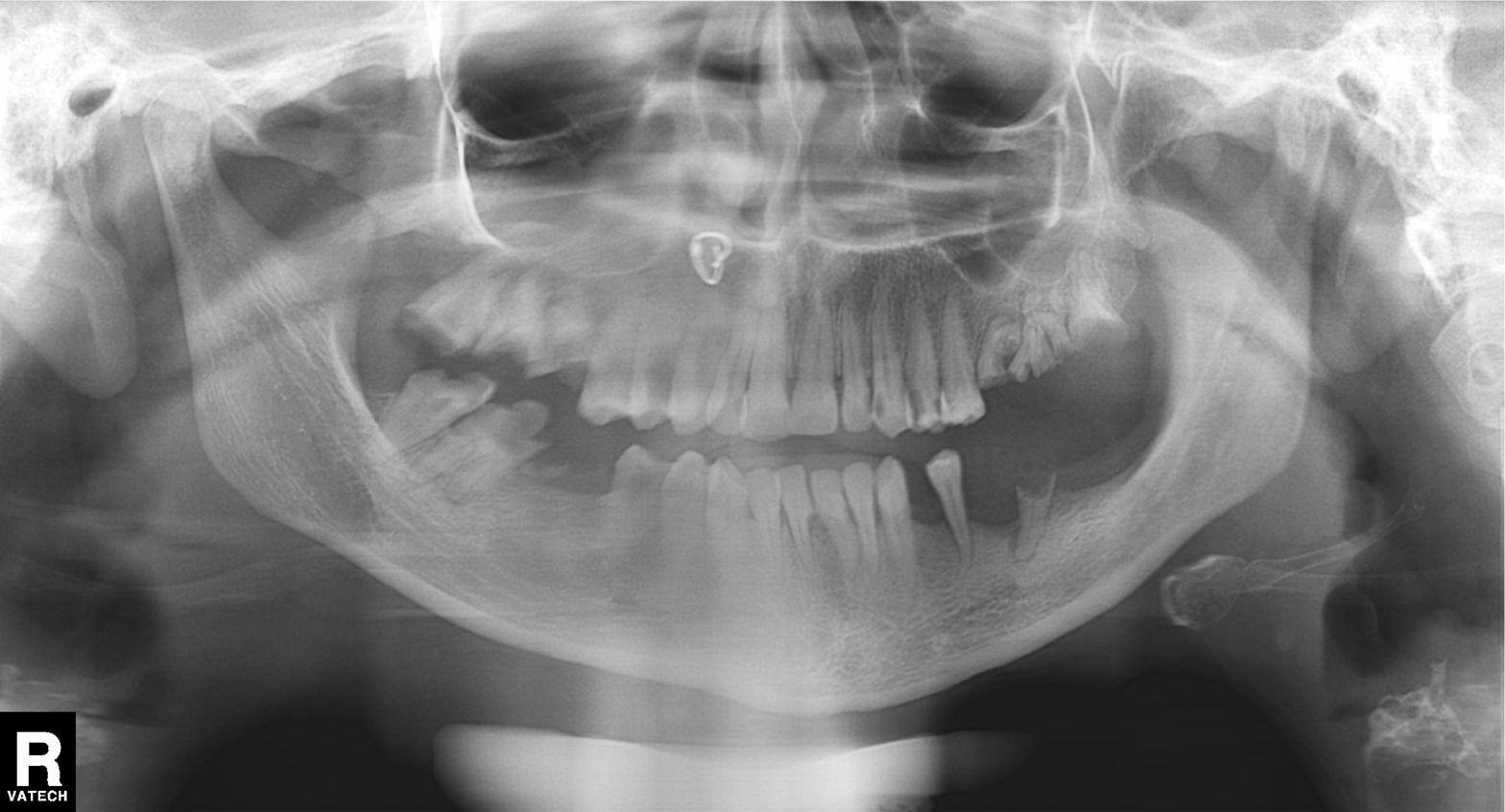
modality = panoramic dental radiograph (orthopantomogram); finding = alveolar bone loss.